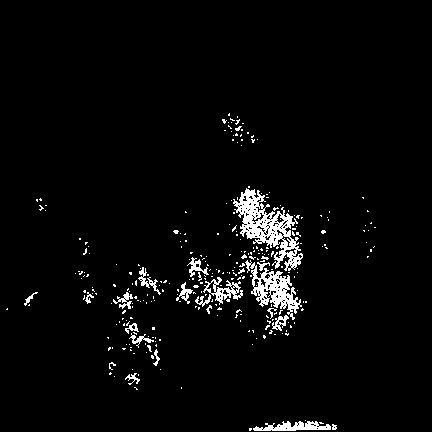
modality: 3 Tesla brain MRI
series: FLAIR VISTA
study: ring-enhancing brain masses